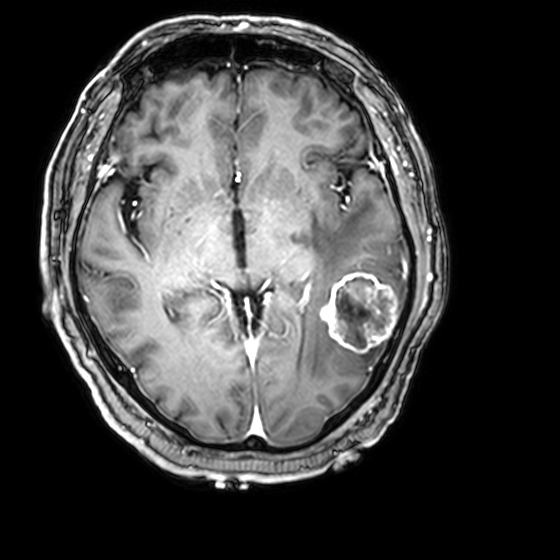
Case:
• modality — 3 Tesla brain MRI
• series — 3D T1-weighted with CLEAR
• study — ring-enhancing brain masses